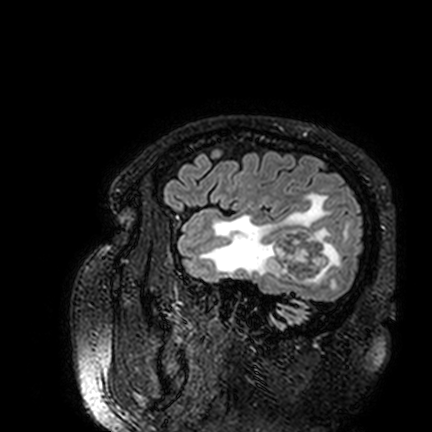
{"modality": {"type": "brain MRI", "field_strength": "3T"}, "series": "FLAIR VISTA", "study_topic": "ring-enhancing brain masses"}